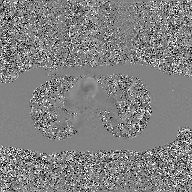
Clinical context:
2D phase-contrast cine MRI of the ascending aorta, GAN super-resolution reconstruction.